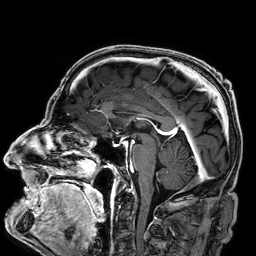
modality = 3 Tesla brain MRI
series = 3D T1-weighted
study = ring-enhancing brain masses